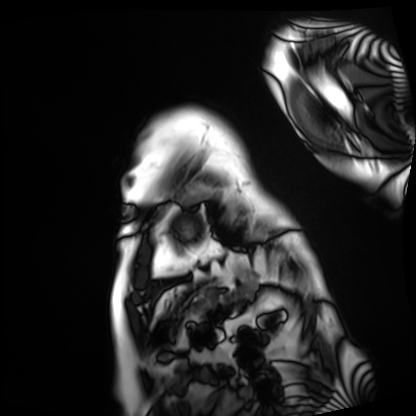
Cardiac MRI. Subject group: patient.